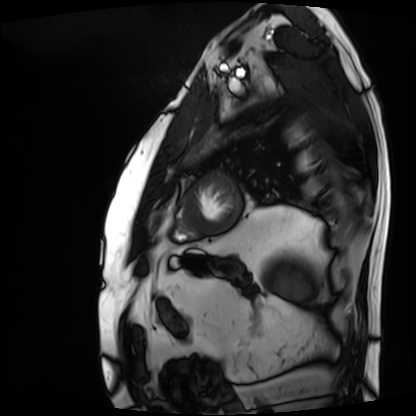
{
  "modality": "cardiac MRI",
  "cohort": "patient"
}